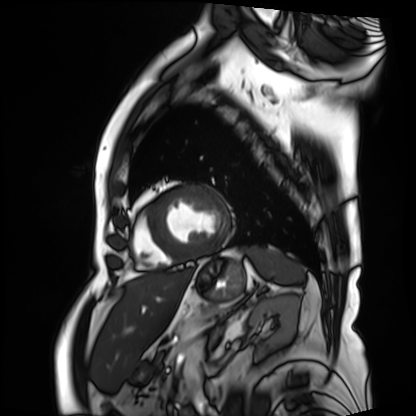
modality: cardiac MRI
subject group: patient